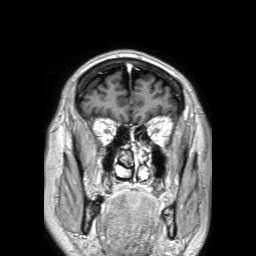
Case summary:
3 Tesla brain MRI. Series: 3D T1-weighted TFE with SENSE. Study: ring-enhancing brain masses.